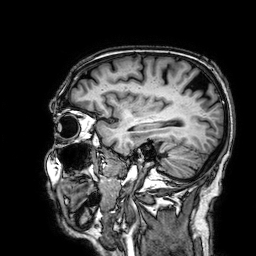
3 Tesla brain MRI.
Series: 3D T1-weighted.
Study: ring-enhancing brain masses.